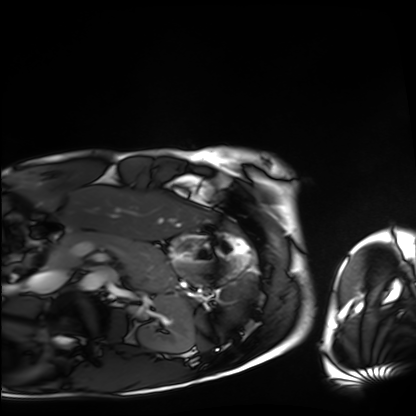
| field | value |
|---|---|
| modality | cardiac MRI |
| subject group | healthy volunteer |